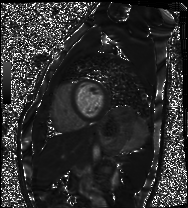
Cardiac MRI.
Subject group: healthy volunteer.